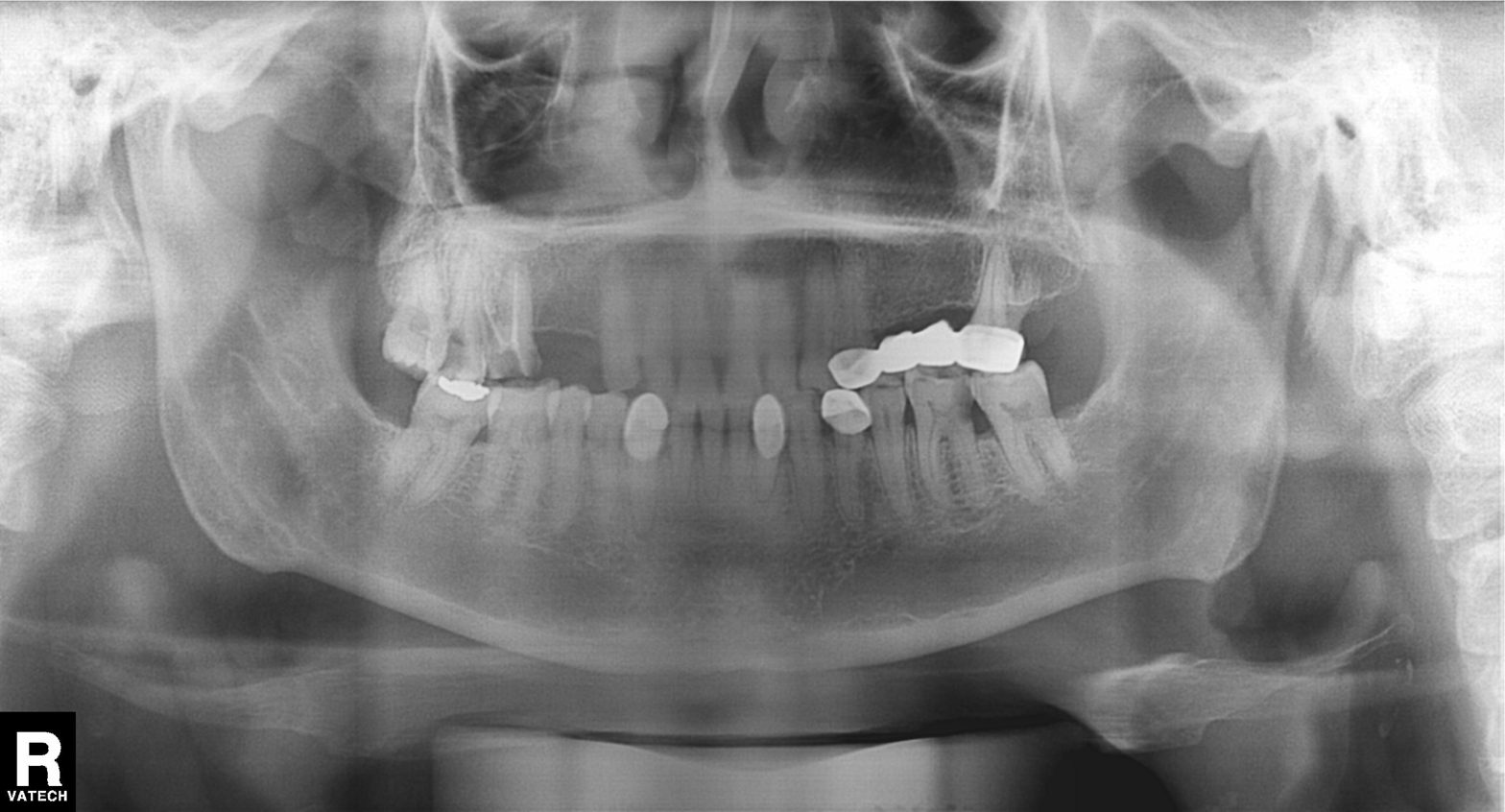
Panoramic dental radiograph (orthopantomogram). Finding: dental caries (cavities).